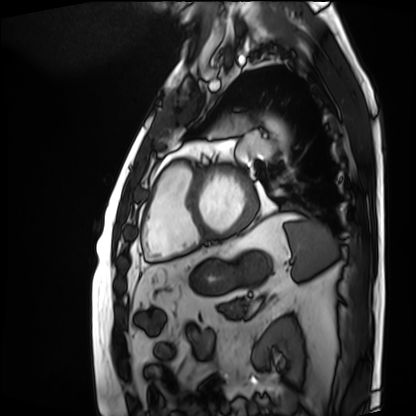
Cardiac MRI. Subject group: patient.